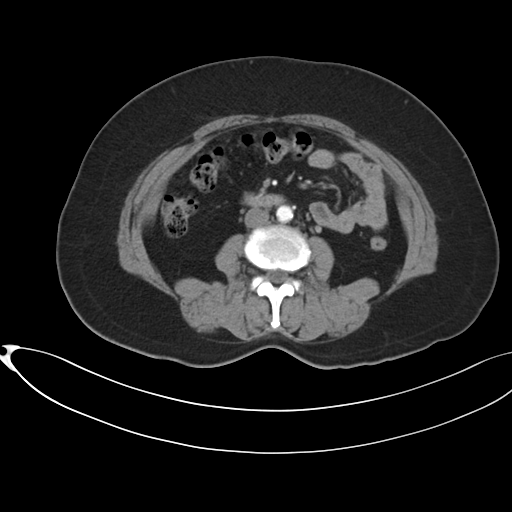
modality=multiphase abdominal CT, liver, arterial phase | patient=female, age 54 | history=prior chemotherapy.